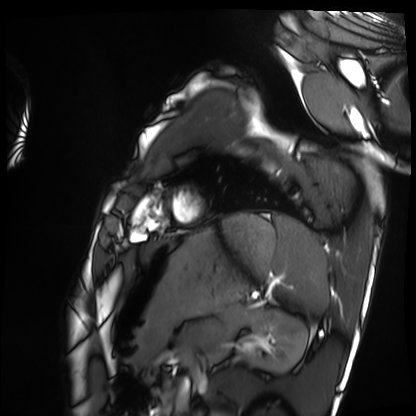
{
  "modality": "cardiac MRI",
  "cohort": "healthy volunteer"
}